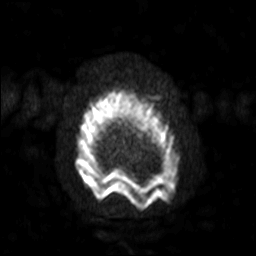
modality — 3 Tesla brain MRI | series — diffusion-weighted imaging with SENSE (WIP) | study — ring-enhancing brain masses.